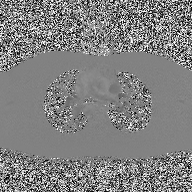
2D phase-contrast cine MRI of the ascending aorta, high-resolution GRAPPA acquisition.